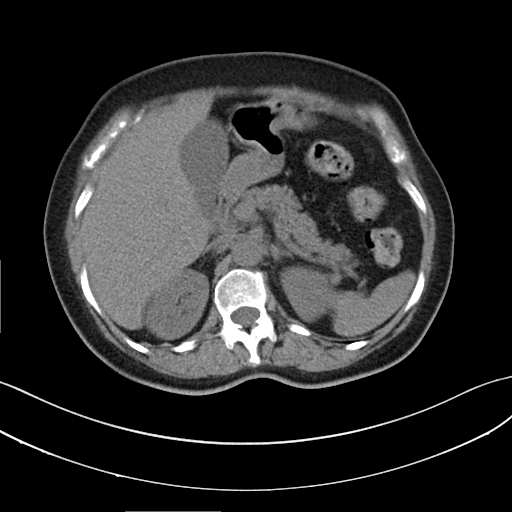
<scan>
  <modality>
    <type>multiphase abdominal CT</type>
    <region>liver</region>
    <phase>non-contrast</phase>
  </modality>
  <patient>
    <sex>female</sex>
    <age>64</age>
  </patient>
  <history>prior chemotherapy</history>
</scan>